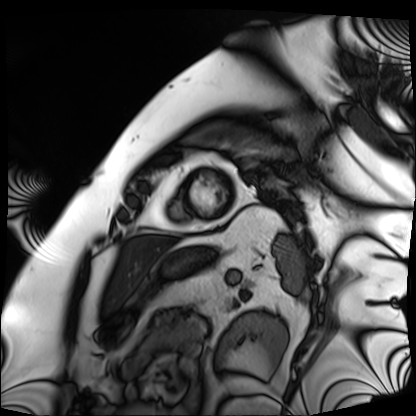
Cardiac MRI. Subject group: patient.